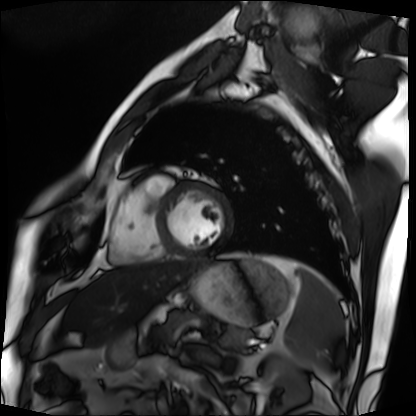
  modality: cardiac MRI
  cohort: patient